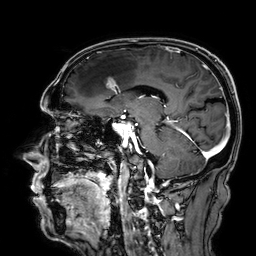
3 Tesla brain MRI. Series: 3D T1-weighted. Study: ring-enhancing brain masses.